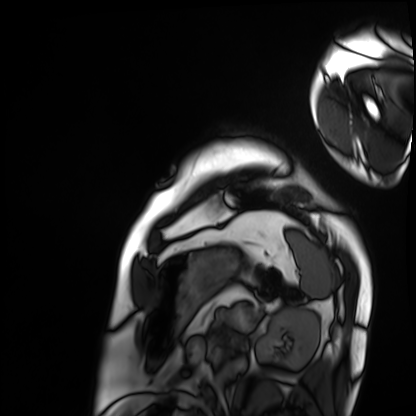
Cardiac MRI.
Subject group: patient.